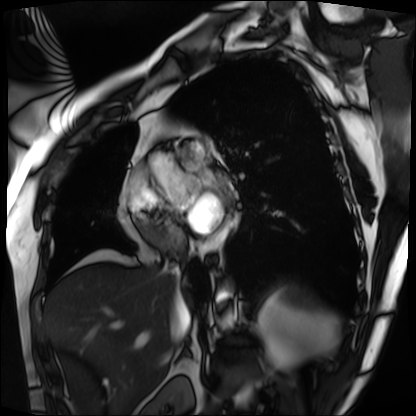
Cardiac MRI. Subject group: patient.